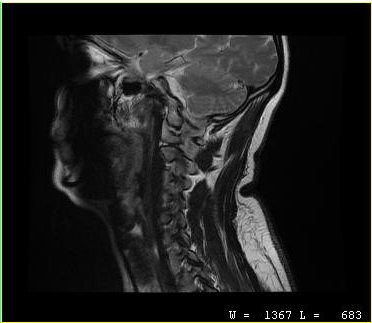
Case summary: MRI of the cervical spine. Study: cervical spondylosis.